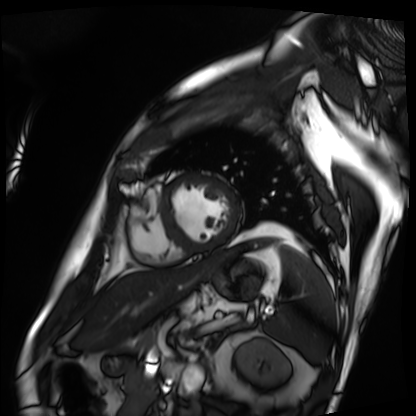
{
  "modality": "cardiac MRI",
  "cohort": "patient"
}